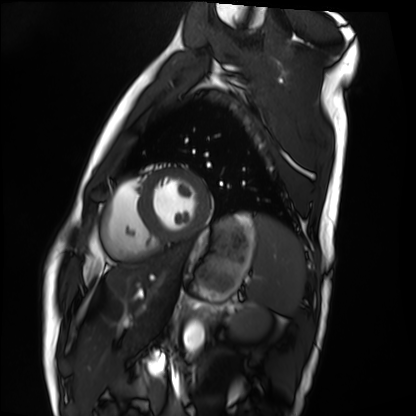
Summary: Cardiac MRI. Subject group: healthy volunteer.